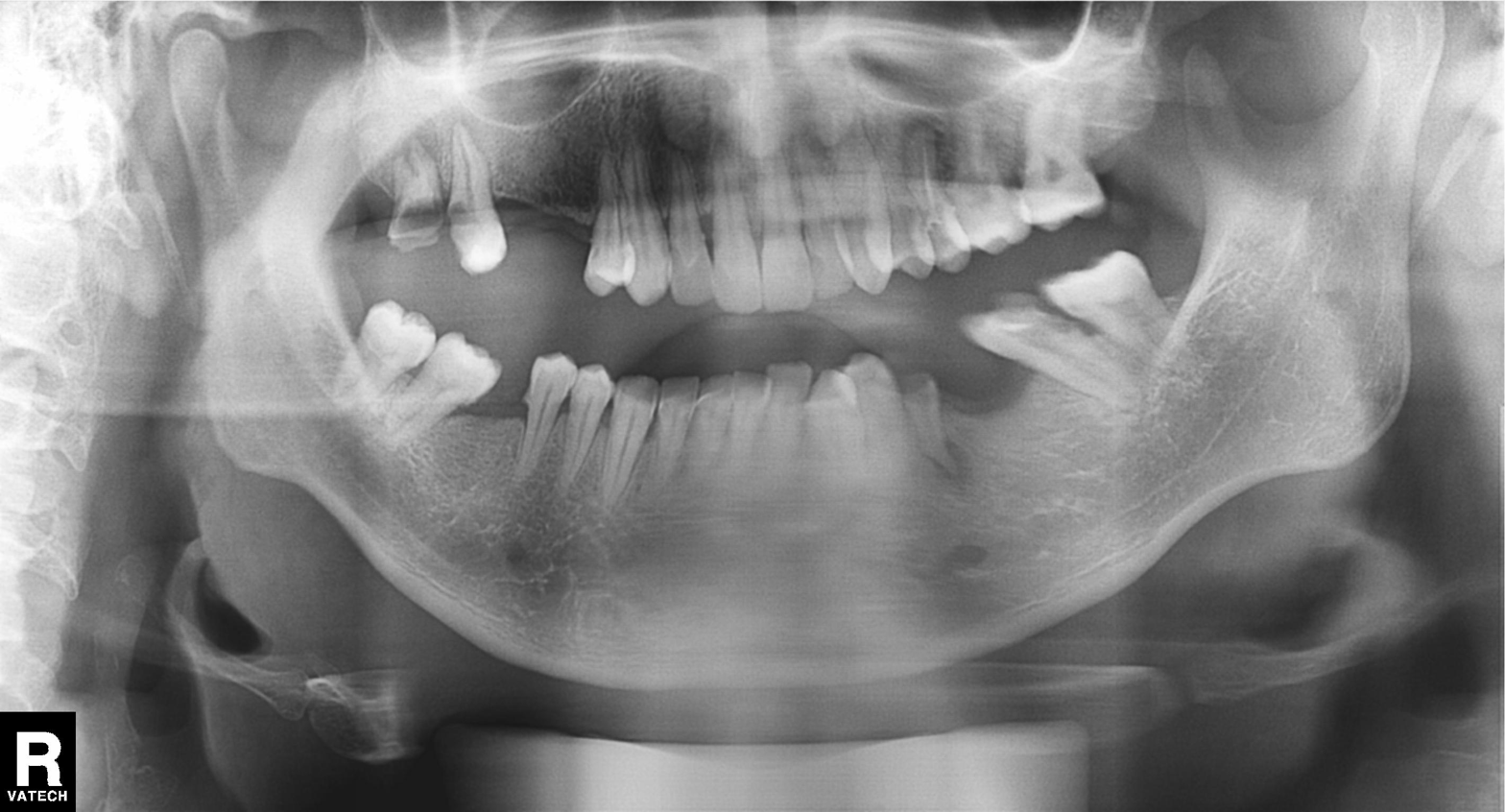
Summary:
Panoramic dental radiograph (orthopantomogram).
Diagnosis:
Tooth impaction.